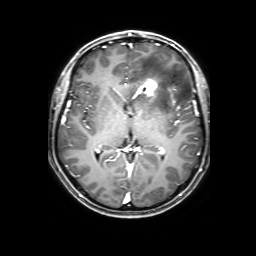
modality:
  type: brain MRI
  field_strength: 3T
series: 3D T1-weighted with SENSE
study_topic: ring-enhancing brain masses